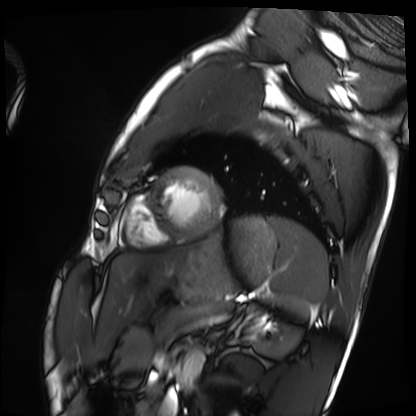
modality = cardiac MRI
subject group = healthy volunteer